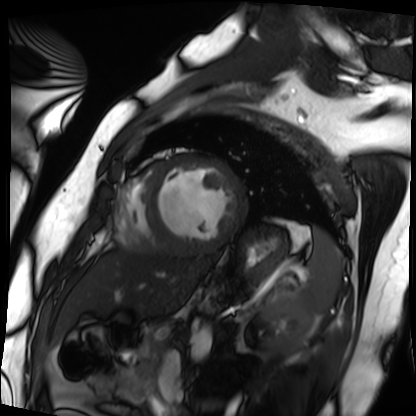
Summary: Cardiac MRI. Subject group: patient.